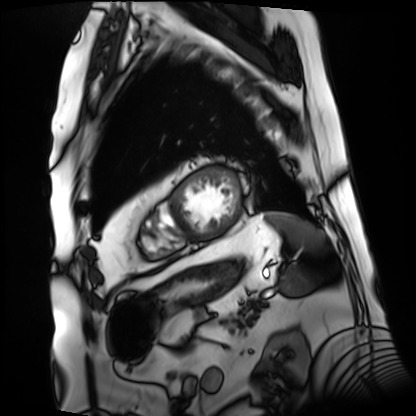
<study>
<modality>cardiac MRI</modality>
<cohort>patient</cohort>
</study>